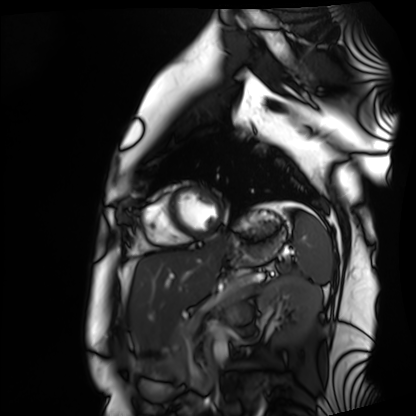
Summary:
Cardiac MRI. Subject group: healthy volunteer.